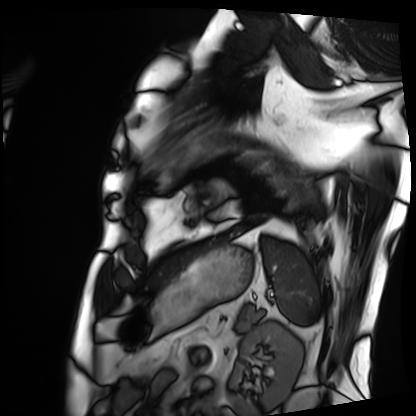
modality=cardiac MRI | subject group=patient.